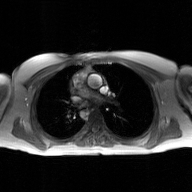
2D phase-contrast cine MRI of the ascending aorta, GAN super-resolution reconstruction.